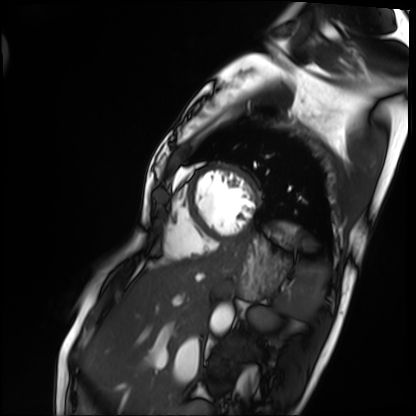
modality = cardiac MRI, subject group = patient.